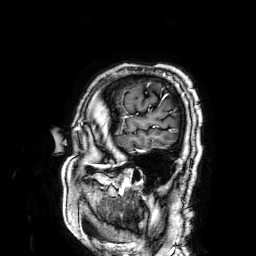
modality — 3 Tesla brain MRI; series — 3D T1-weighted; study — ring-enhancing brain masses.